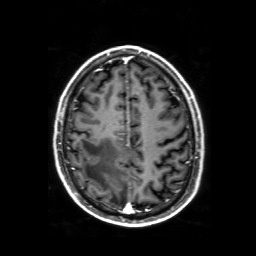
Q: What kind of scan is this?
A: 3 Tesla brain MRI.
Q: Series?
A: 3D T1-weighted with SENSE.
Study: ring-enhancing brain masses.